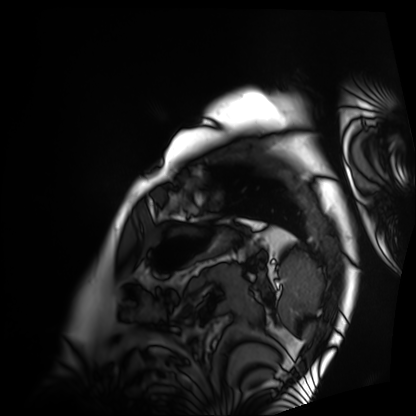
modality: cardiac MRI, subject group: patient.